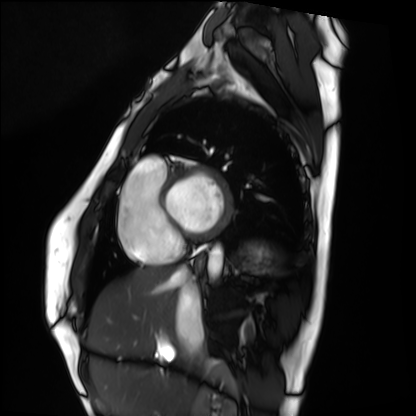
Case summary: Cardiac MRI. Subject group: healthy volunteer.